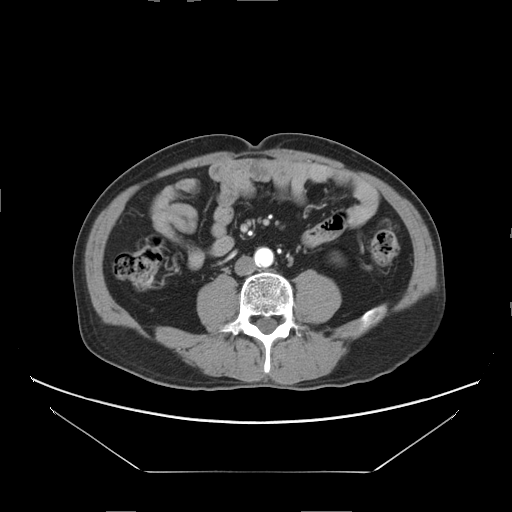
Multiphase abdominal CT, liver, arterial phase.
Patient: male, age 69.
History: viral hepatitis.